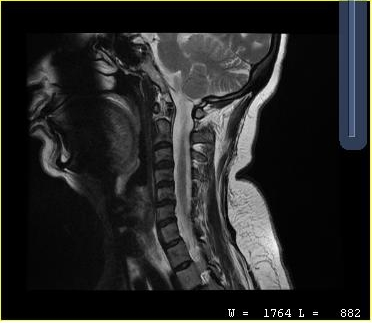
{
  "modality": {
    "type": "cervical spine MRI"
  },
  "study_topic": "cervical spondylosis"
}